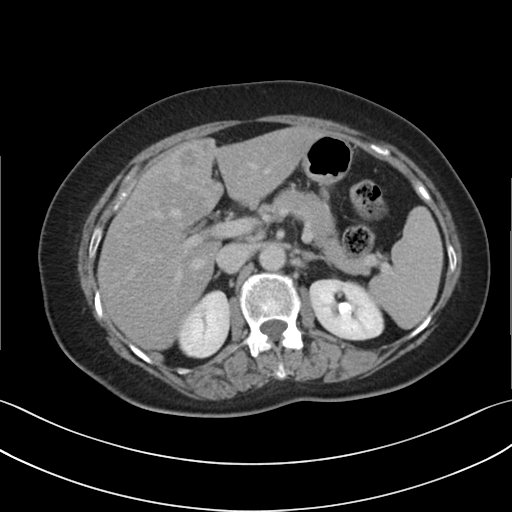
{
  "modality": {
    "type": "multiphase abdominal CT",
    "region": "liver",
    "phase": "delayed"
  }
}